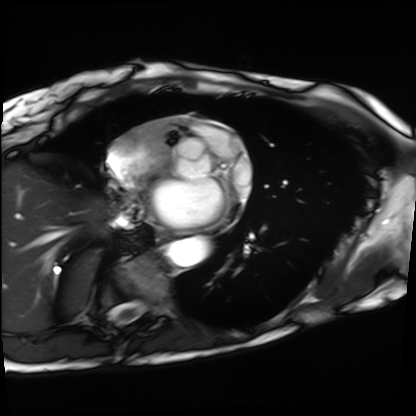
{
  "modality": "cardiac MRI",
  "cohort": "patient"
}